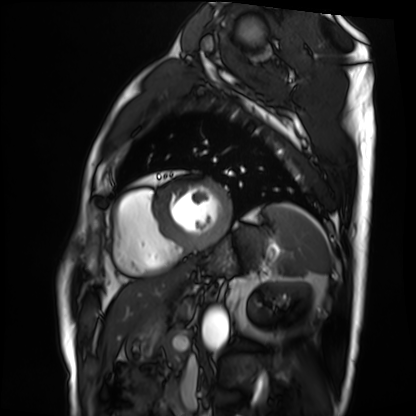
Clinical context: Cardiac MRI. Subject group: patient.